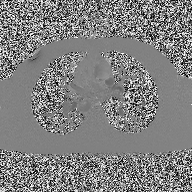
modality: 2D phase-contrast cine MRI of the ascending aorta